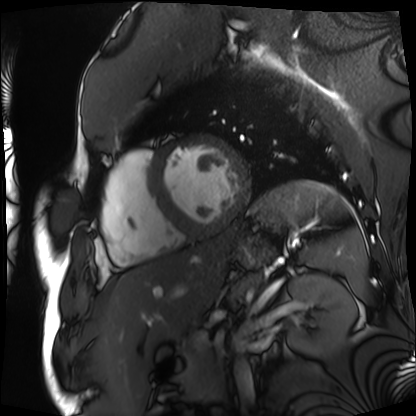
* modality · cardiac MRI
* subject group · patient